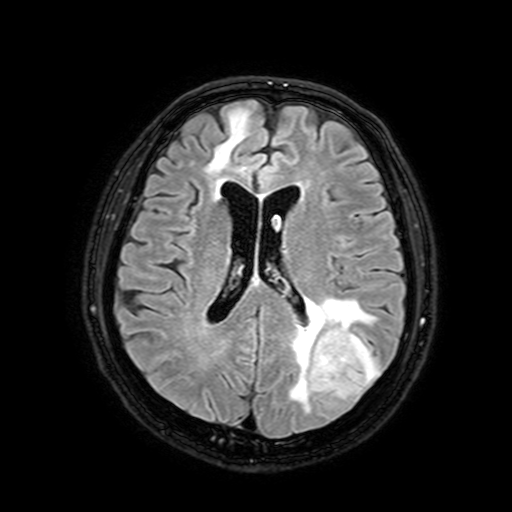
<case>
  <modality>
    <type>brain MRI</type>
    <field_strength>3T</field_strength>
  </modality>
  <series>FLAIR with SPAIR, 3 mm</series>
  <study_topic>ring-enhancing brain masses</study_topic>
</case>